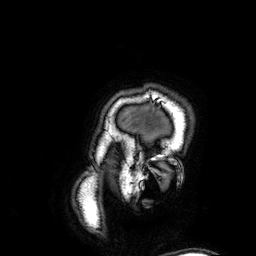
modality: 3 Tesla brain MRI; series: 3D T1-weighted; study: ring-enhancing brain masses.